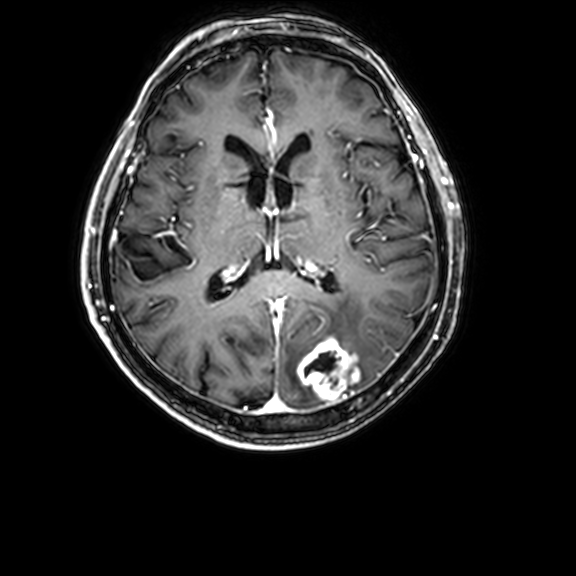
3 Tesla brain MRI. Series: 3D T1-weighted with CLEAR. Study: ring-enhancing brain masses.